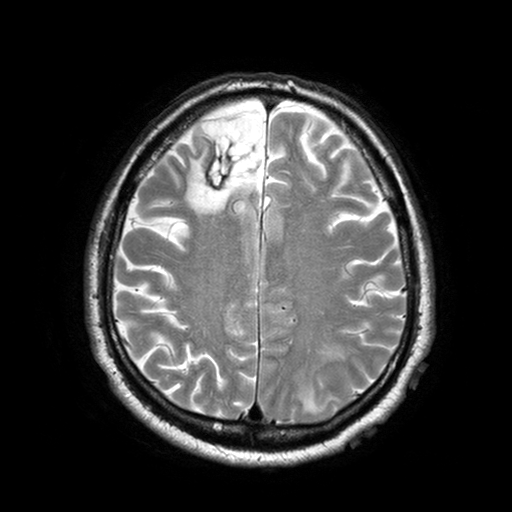
modality — 3 Tesla brain MRI; series — T2-weighted turbo spin echo with SENSE; study — ring-enhancing brain masses.